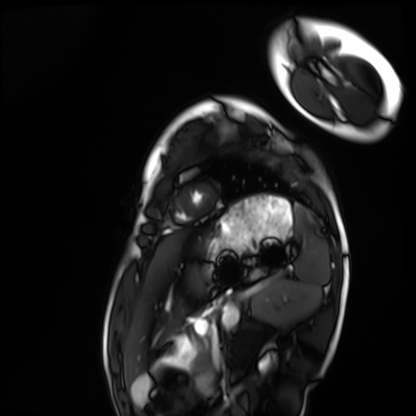
Cardiac MRI.
Subject group: healthy volunteer.